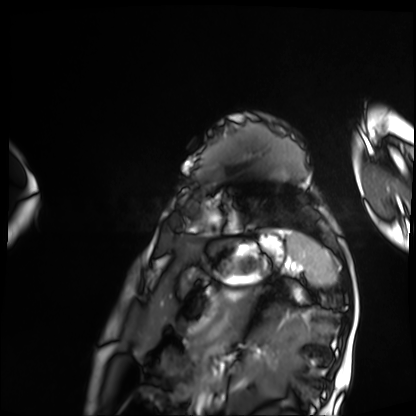
Cardiac MRI. Subject group: patient.